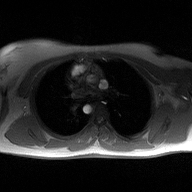
2D phase-contrast cine MRI of the ascending aorta, high-resolution GRAPPA acquisition.